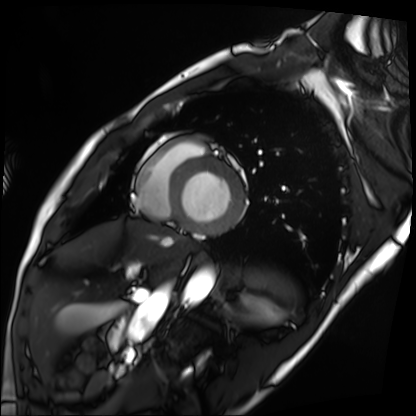
Clinical context:
Cardiac MRI. Subject group: patient.